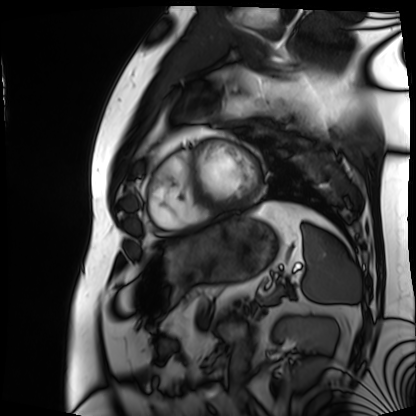
modality = cardiac MRI | subject group = patient.